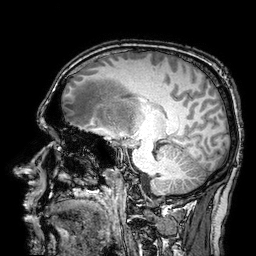
3 Tesla brain MRI. Series: 3D T1-weighted turbo field echo with SENSE. Study: ring-enhancing brain masses.